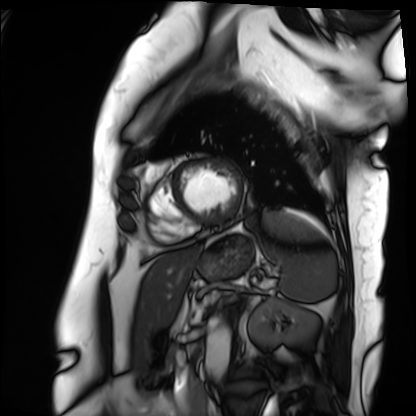
| field | value |
|---|---|
| modality | cardiac MRI |
| subject group | patient |